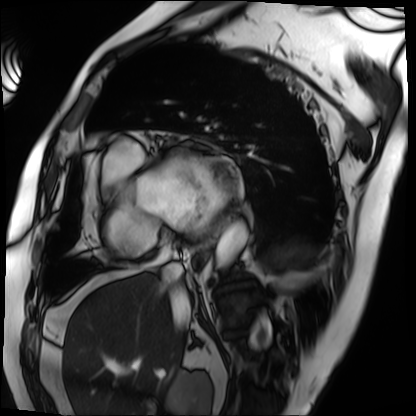
modality — cardiac MRI
subject group — patient